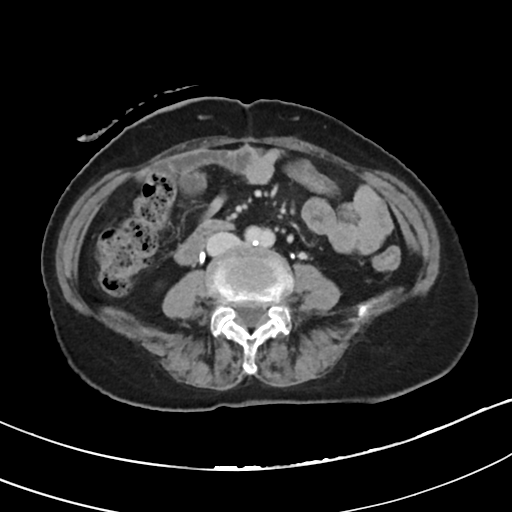
Multiphase abdominal CT, liver, delayed phase. Patient: female, age 75.